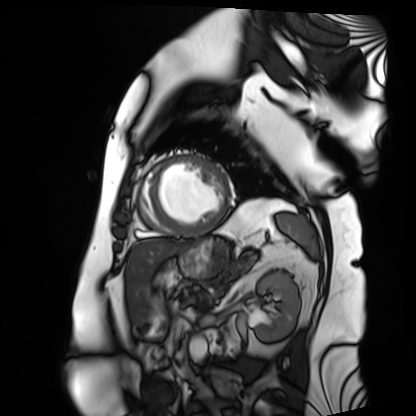
Cardiac MRI. Subject group: patient.